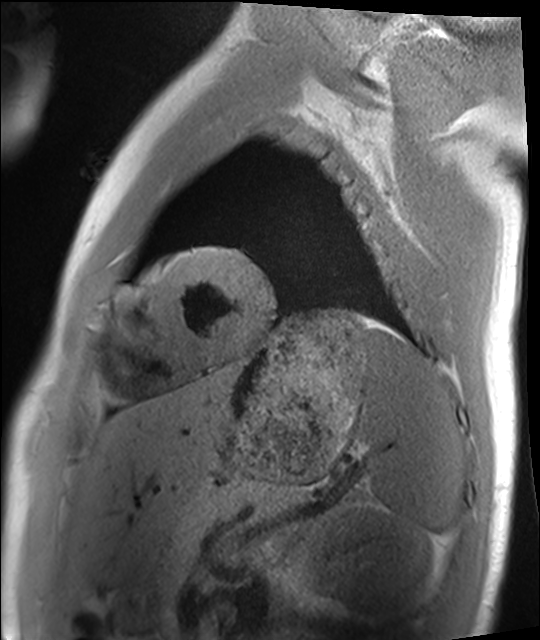
{
  "modality": "cardiac MRI",
  "cohort": "healthy volunteer"
}